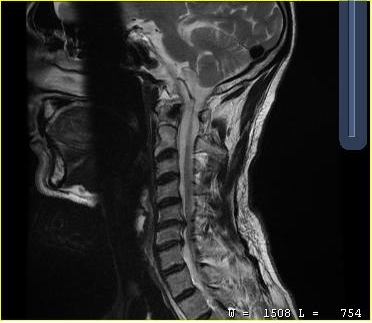
| field | value |
|---|---|
| modality | MRI of the cervical spine |
| study | cervical spondylosis |